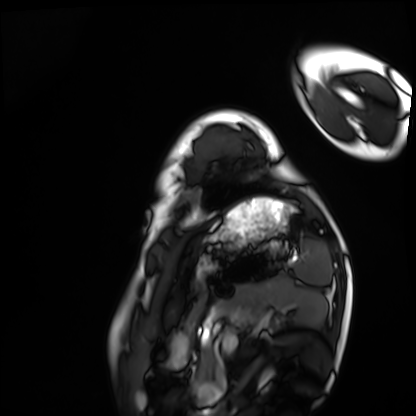
Cardiac MRI. Subject group: healthy volunteer.